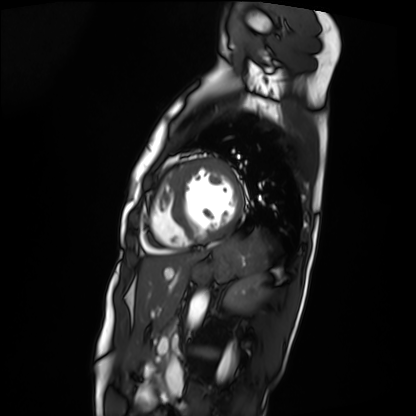
modality: cardiac MRI
subject group: patient